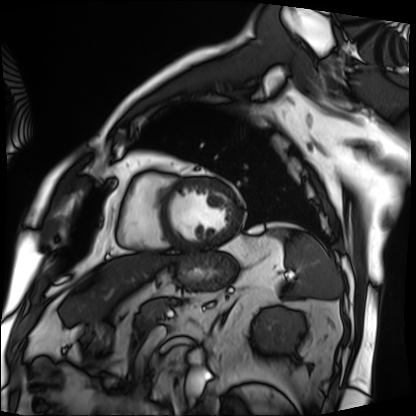
Cardiac MRI. Subject group: patient.